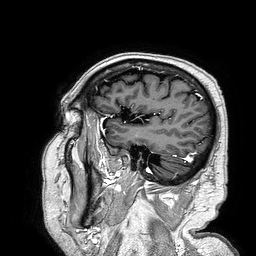
Q: What kind of scan is this?
A: 3 Tesla brain MRI.
Q: Series?
A: 3D T1-weighted turbo field echo.
Study: ring-enhancing brain masses.